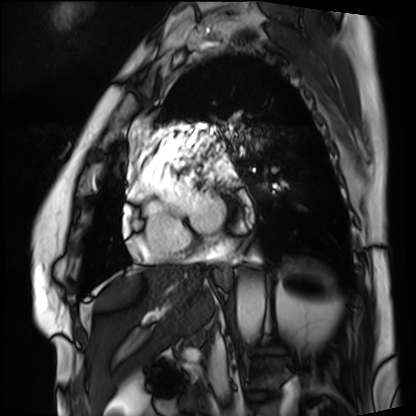
<record>
<modality>cardiac MRI</modality>
<cohort>patient</cohort>
</record>